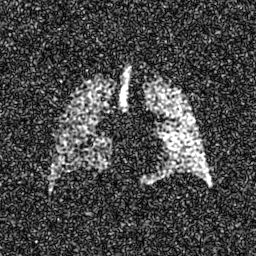
Q: What kind of scan is this?
A: Hyperpolarized 129Xe ventilation MRI of the lungs.
Q: SNR level?
A: 8 of 8 (the deposit holds this scan as its native image and as seven SNR-degraded versions).